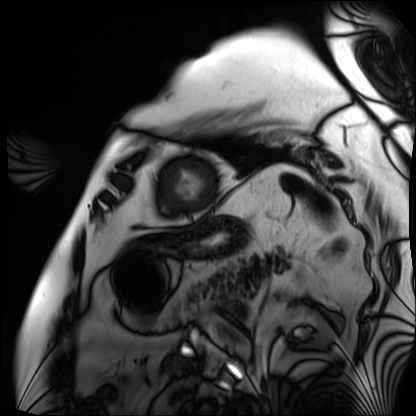
<study>
  <modality>cardiac MRI</modality>
  <cohort>patient</cohort>
</study>